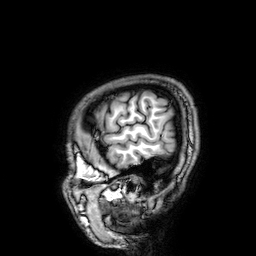
Case summary:
3 Tesla brain MRI. Series: 3D T1-weighted. Study: ring-enhancing brain masses.